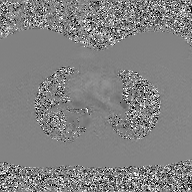
Summary: 2D phase-contrast cine MRI of the ascending aorta, GAN super-resolution reconstruction.